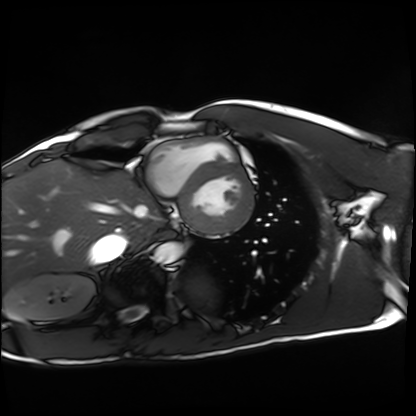
Cardiac MRI.
Subject group: healthy volunteer.